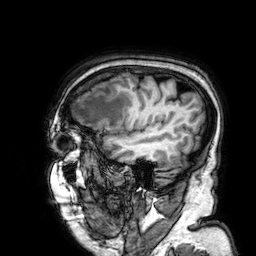
  modality:
    type: brain MRI
    field_strength: 3T
  series: 3D T1-weighted
  study_topic: ring-enhancing brain masses